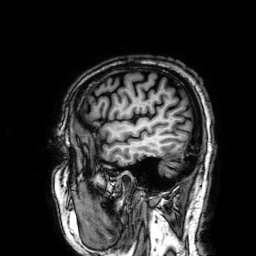
3 Tesla brain MRI. Series: 3D T1-weighted. Study: ring-enhancing brain masses.